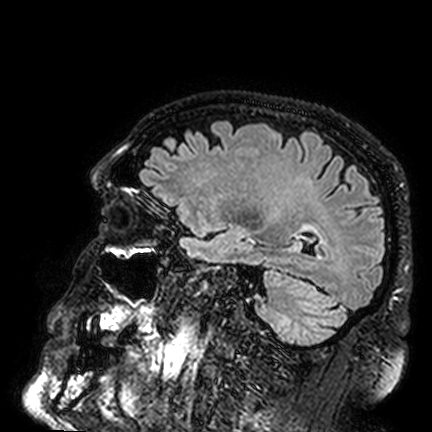
Case summary:
3 Tesla brain MRI. Series: FLAIR VISTA. Study: ring-enhancing brain masses.